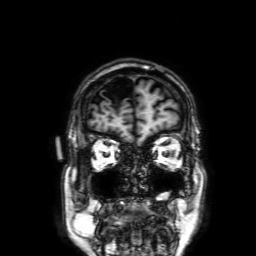
modality:
  type: brain MRI
  field_strength: 3T
series: 3D T1-weighted with SENSE
study_topic: ring-enhancing brain masses